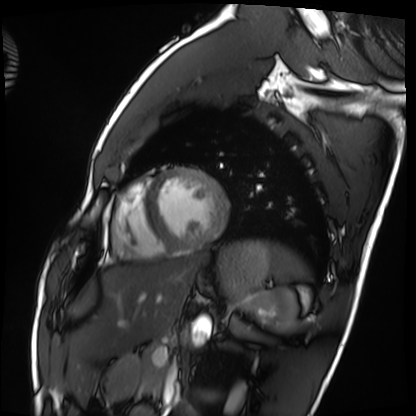
modality = cardiac MRI
subject group = healthy volunteer